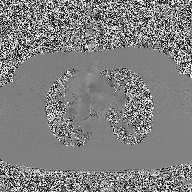
Case:
• modality — 2D phase-contrast cine MRI of the ascending aorta